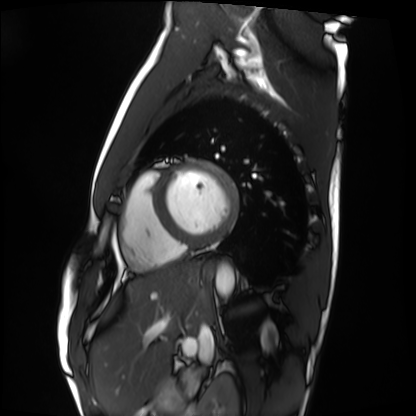
Cardiac MRI. Subject group: healthy volunteer.